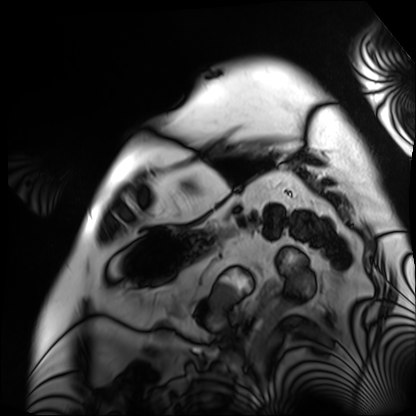
Cardiac MRI. Subject group: patient.